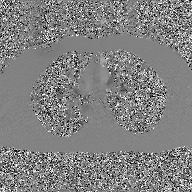
Q: What kind of scan is this?
A: 2D phase-contrast cine MRI of the ascending aorta, GAN super-resolution reconstruction.